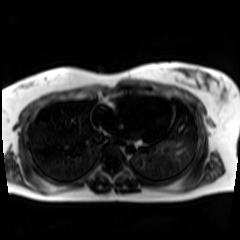
modality: chemical-shift-encoded cardiac MRI.